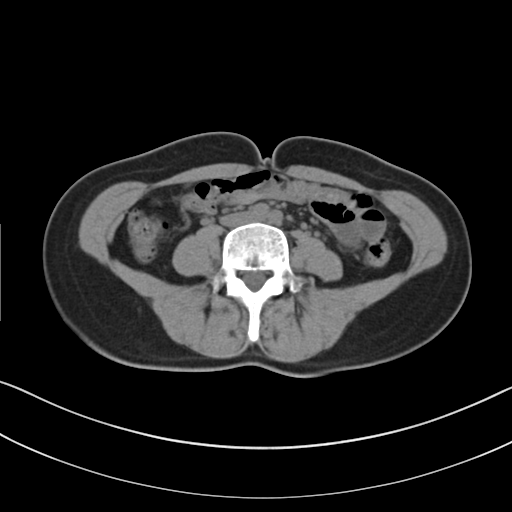
Multiphase abdominal CT, liver, non-contrast phase. Patient: female, age 40.